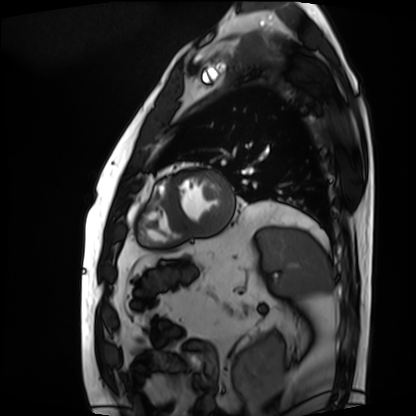
Clinical context: Cardiac MRI. Subject group: patient.